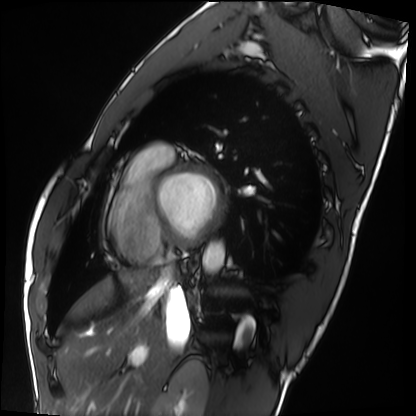
Case:
• modality: cardiac MRI
• subject group: healthy volunteer